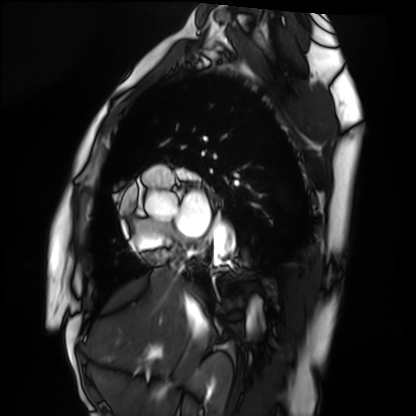
modality: cardiac MRI
subject group: healthy volunteer